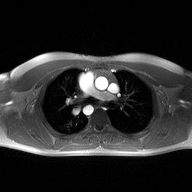
2D phase-contrast cine MRI of the ascending aorta, high-resolution GRAPPA acquisition.